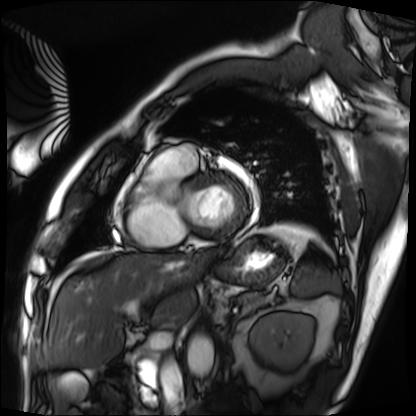
Cardiac MRI.
Subject group: patient.